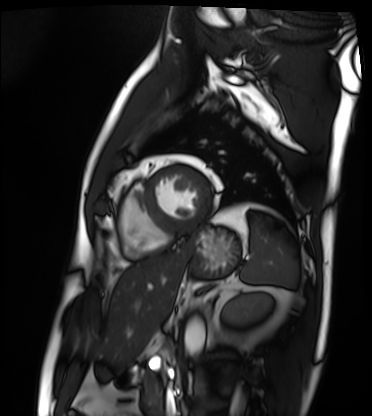
- modality: cardiac MRI
- subject group: patient